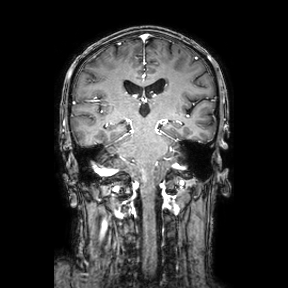
modality=3 Tesla brain MRI
series=coronal
study=ring-enhancing brain masses